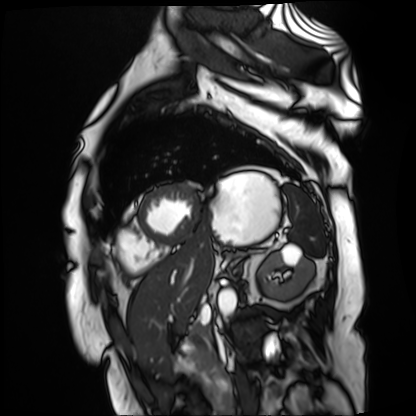
modality = cardiac MR image of the myocardium, subject cohort = cardiac patient.